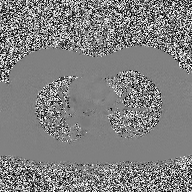
Q: What kind of scan is this?
A: 2D phase-contrast cine MRI of the ascending aorta.